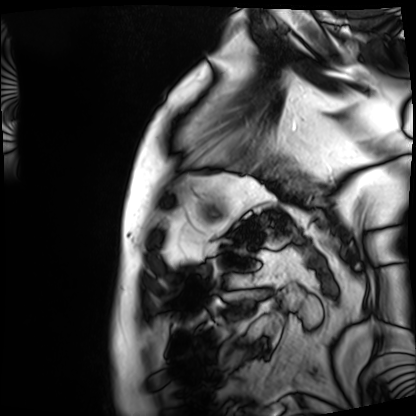
Summary:
Cardiac MRI. Subject group: patient.